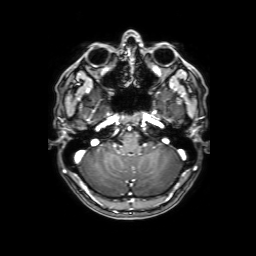
3 Tesla brain MRI.
Series: 3D T1-weighted with SENSE.
Study: ring-enhancing brain masses.